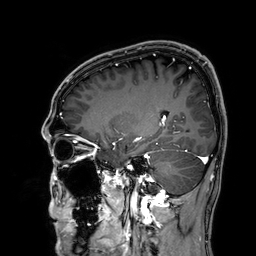
<case>
<modality>
  <type>brain MRI</type>
  <field_strength>3T</field_strength>
</modality>
<series>3D T1-weighted</series>
<study_topic>ring-enhancing brain masses</study_topic>
</case>